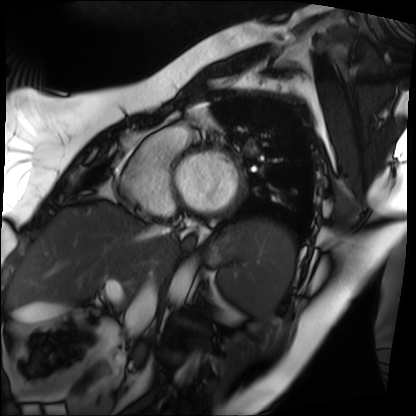
Cardiac MRI. Subject group: patient.